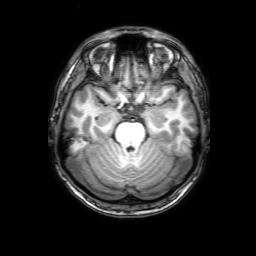
Summary: 3 Tesla brain MRI. Series: 3D T1-weighted with SENSE. Study: ring-enhancing brain masses.